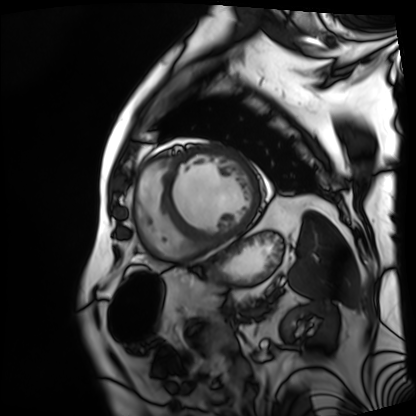
Q: What kind of scan is this?
A: Cardiac MRI.
Subject group: patient.